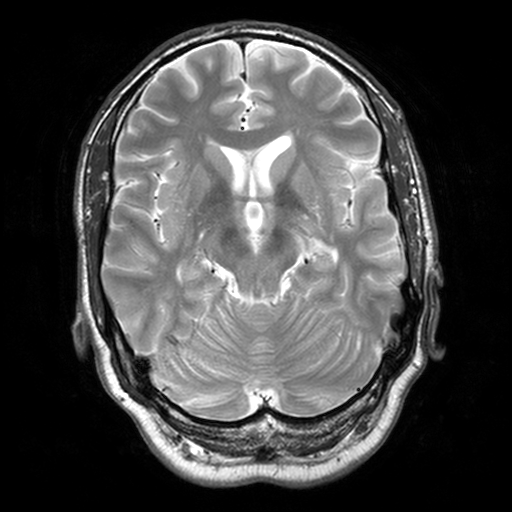
  modality:
    type: brain MRI
    field_strength: 3T
  series: T2-weighted turbo spin echo, 3 mm
  study_topic: ring-enhancing brain masses